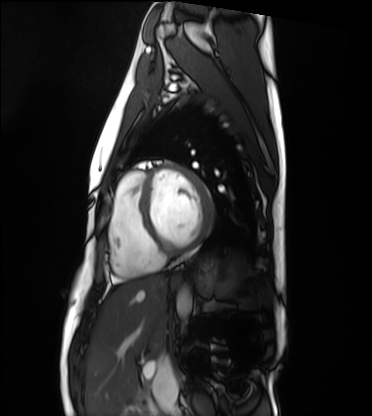
Case summary:
Cardiac MRI. Subject group: healthy volunteer.